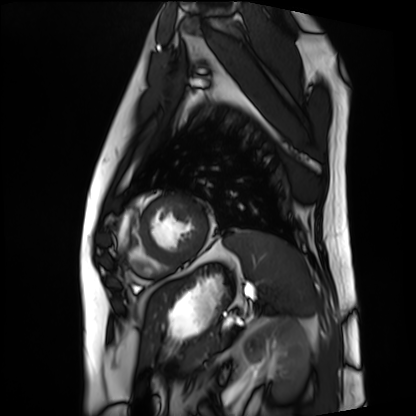
modality: cardiac MRI; subject group: patient.